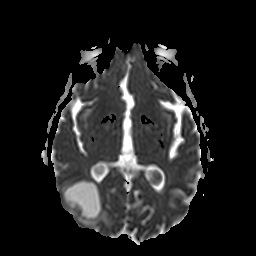
modality = 3 Tesla brain MRI | series = apparent diffusion coefficient (ADC) map | study = ring-enhancing brain masses.